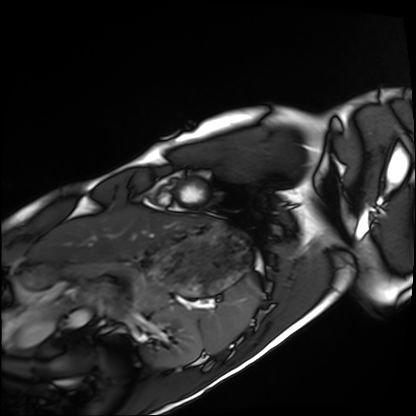
  modality: cardiac MRI
  cohort: healthy volunteer